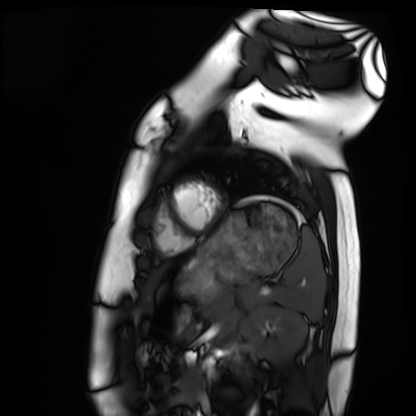
• modality · cardiac MRI
• subject group · healthy volunteer